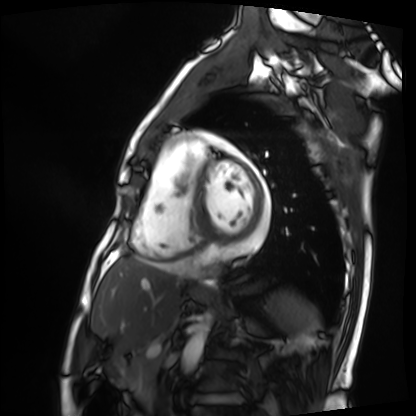
modality: cardiac MRI
cohort: patient